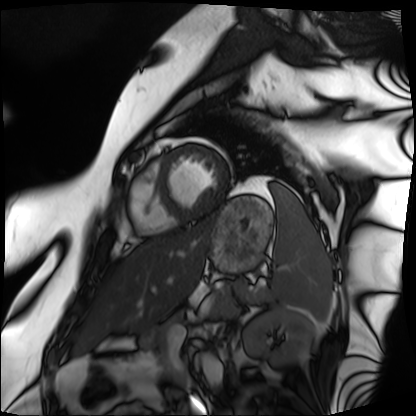
Cardiac MRI.
Subject group: patient.